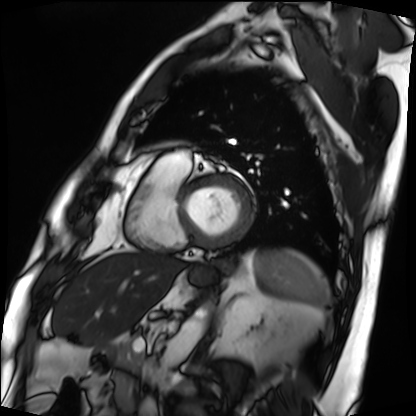
| field | value |
|---|---|
| modality | cardiac MRI |
| subject group | patient |